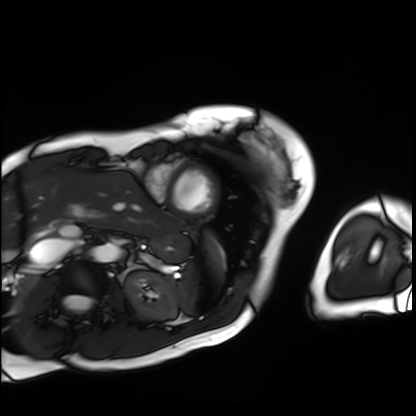
Cardiac MRI.
Subject group: patient.